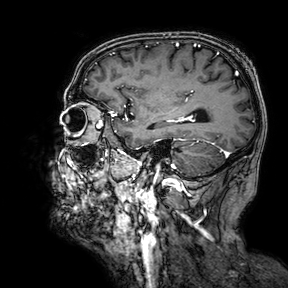
modality — 3 Tesla brain MRI; series — 3D T1-weighted turbo field echo with SENSE; study — ring-enhancing brain masses.